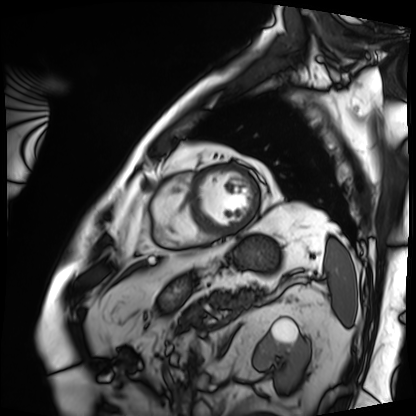
| field | value |
|---|---|
| modality | cardiac MRI |
| subject group | patient |